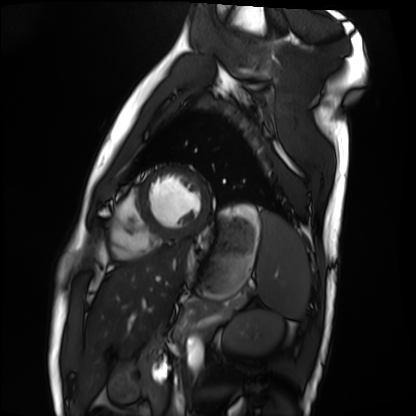
Clinical context:
Cardiac MRI. Subject group: healthy volunteer.